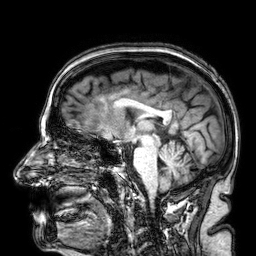
Q: What kind of scan is this?
A: 3 Tesla brain MRI.
Q: Series?
A: 3D T1-weighted.
Study: ring-enhancing brain masses.